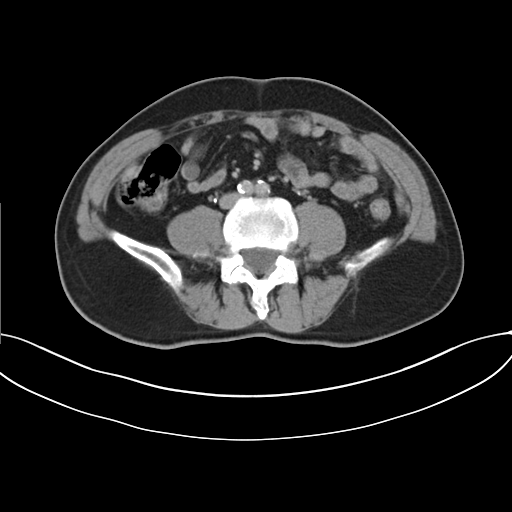
| field | value |
|---|---|
| modality | multiphase abdominal CT, liver, delayed phase |
| patient | male, age 55 |